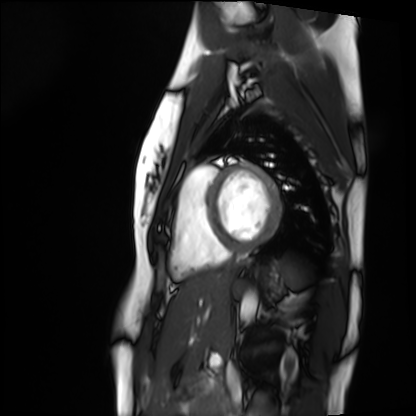
modality = cardiac MRI | subject group = healthy volunteer.